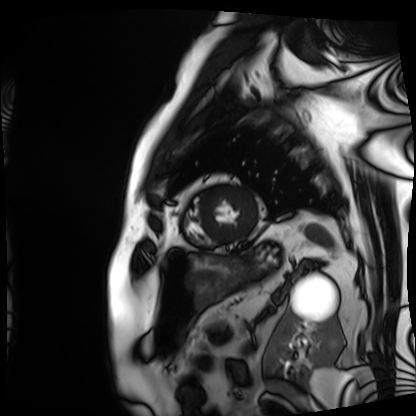
Cardiac MRI.
Subject group: patient.